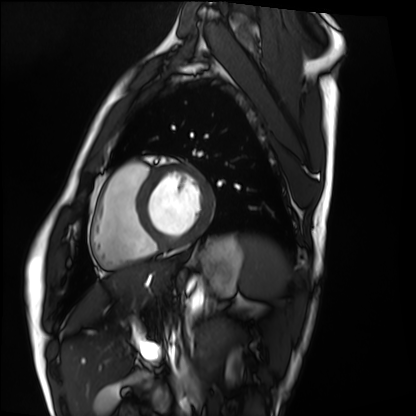
Cardiac MRI.
Subject group: healthy volunteer.